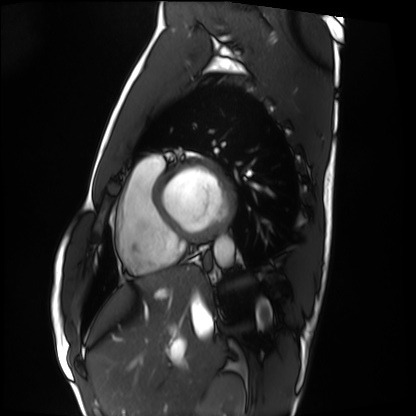
modality=cardiac MRI
subject group=healthy volunteer